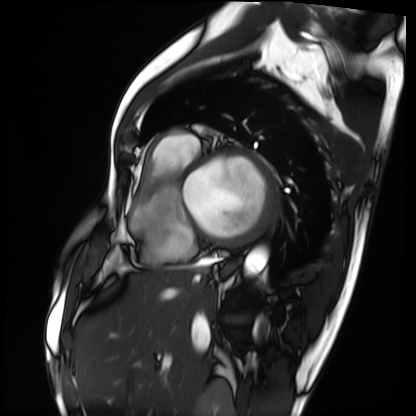
Cardiac MRI.
Subject group: patient.